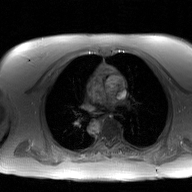
modality = 2D phase-contrast cine MRI of the ascending aorta, GAN super-resolution reconstruction